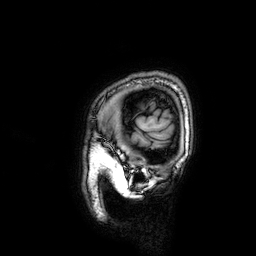
modality=3 Tesla brain MRI; series=3D T1-weighted; study=ring-enhancing brain masses.